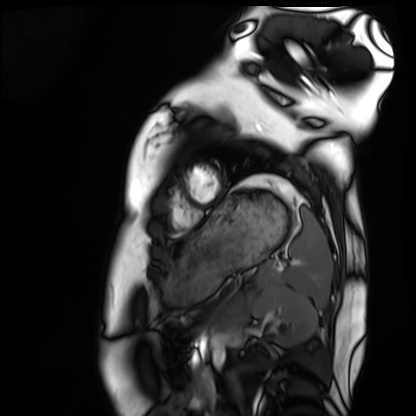
Clinical context: Cardiac MRI. Subject group: healthy volunteer.